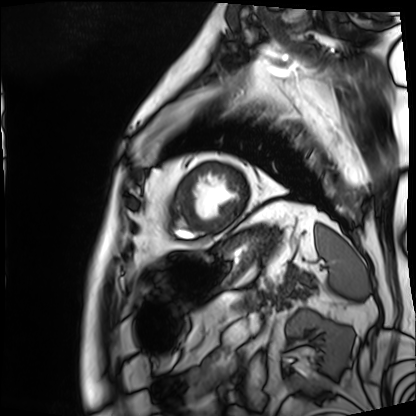
Cardiac MRI.
Subject group: patient.